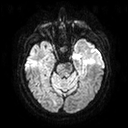
<scan>
<modality>
  <type>brain MRI</type>
  <field_strength>3T</field_strength>
</modality>
<study_topic>ring-enhancing brain masses</study_topic>
</scan>